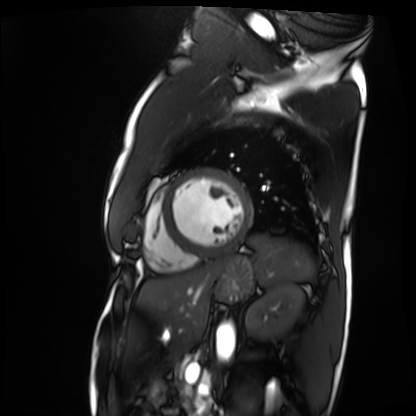
Cardiac MRI.
Subject group: patient.